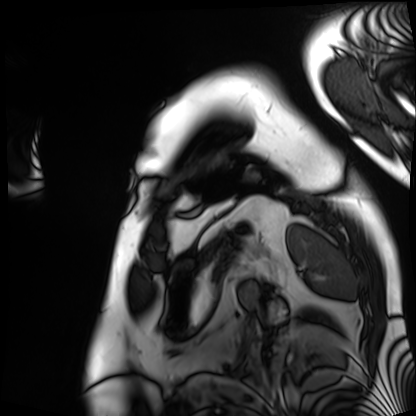
• modality: cardiac MRI
• subject group: patient